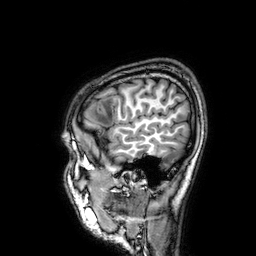
3 Tesla brain MRI. Series: 3D T1-weighted. Study: ring-enhancing brain masses.